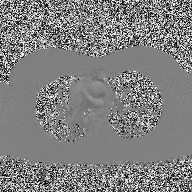
2D phase-contrast cine MRI of the ascending aorta, high-resolution GRAPPA acquisition.